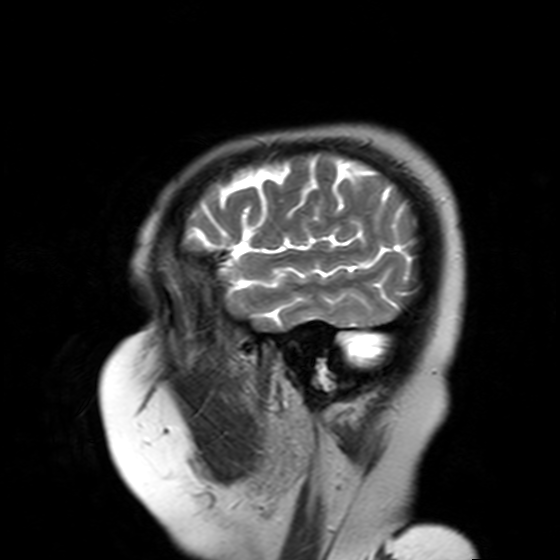
modality = 3 Tesla brain MRI; series = T2-weighted turbo spin echo with SENSE; study = ring-enhancing brain masses.